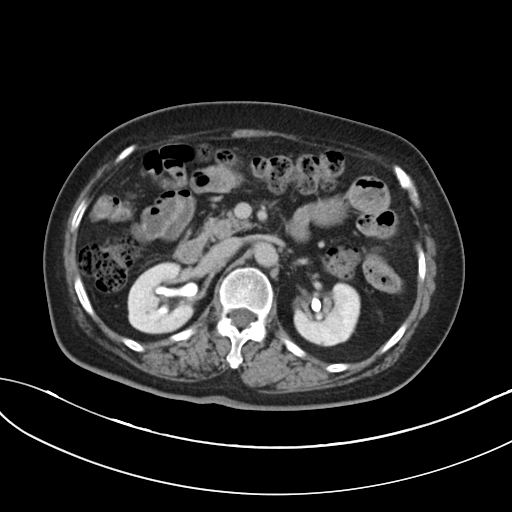
Case summary: Multiphase abdominal CT, liver, delayed phase. Patient: female, age 73. History: cirrhosis, viral hepatitis, prior chemotherapy.